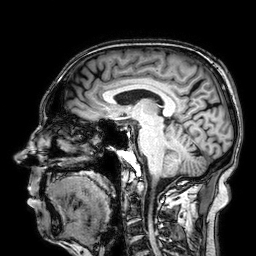
{"modality": {"type": "brain MRI", "field_strength": "3T"}, "series": "3D T1-weighted", "study_topic": "ring-enhancing brain masses"}